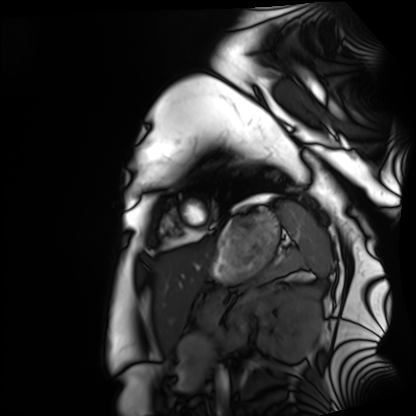
Cardiac MRI.
Subject group: healthy volunteer.